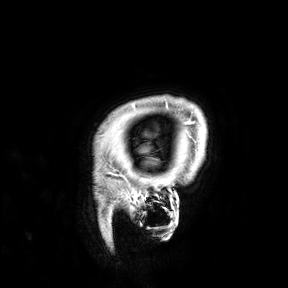
3 Tesla brain MRI. Study: ring-enhancing brain masses.